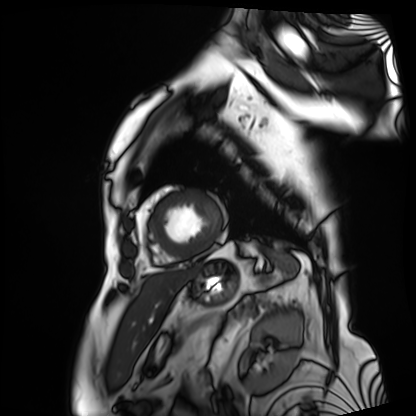
Case summary: Cardiac MRI. Subject group: patient.